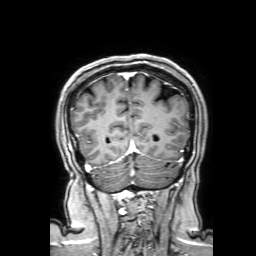
{
  "modality": {
    "type": "brain MRI",
    "field_strength": "3T"
  },
  "series": "3D T1-weighted with SENSE",
  "study_topic": "ring-enhancing brain masses"
}